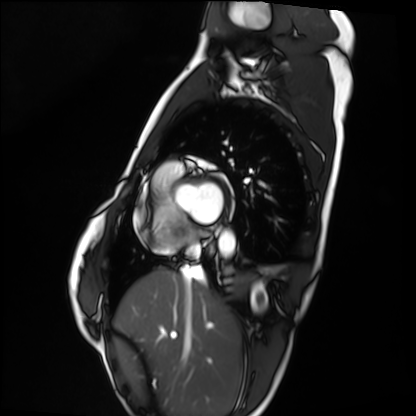
{"modality": "cardiac MRI", "cohort": "healthy volunteer"}